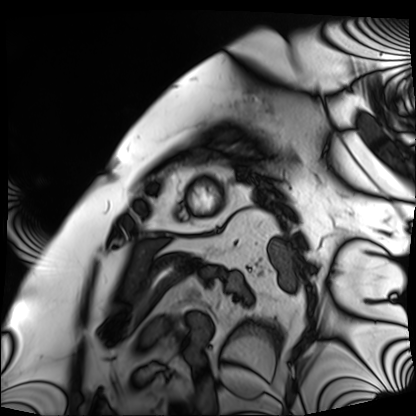
{
  "modality": "cardiac MRI",
  "cohort": "patient"
}